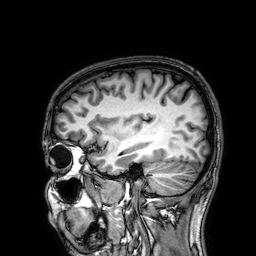
3 Tesla brain MRI.
Series: 3D T1-weighted.
Study: ring-enhancing brain masses.